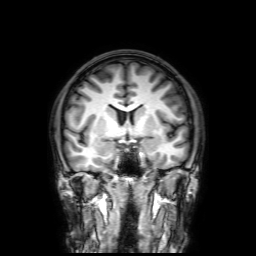
3 Tesla brain MRI. Study: ring-enhancing brain masses.